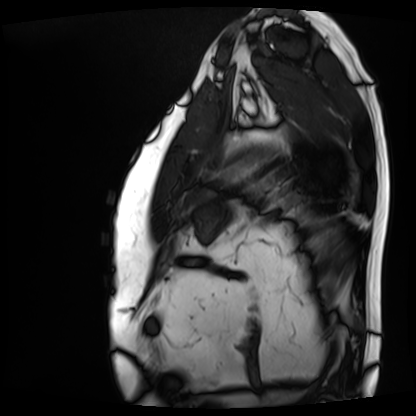
Summary: Cardiac MRI. Subject group: patient.